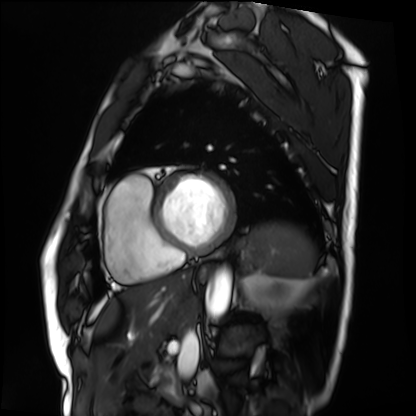
Cardiac MRI. Subject group: patient.